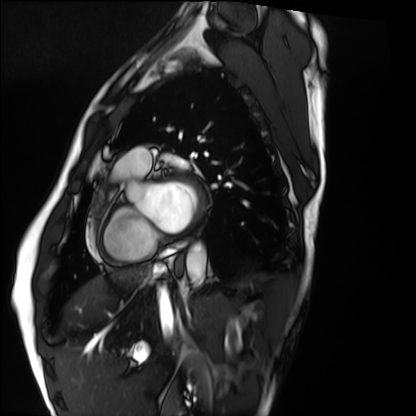
| field | value |
|---|---|
| modality | cardiac MRI |
| subject group | healthy volunteer |